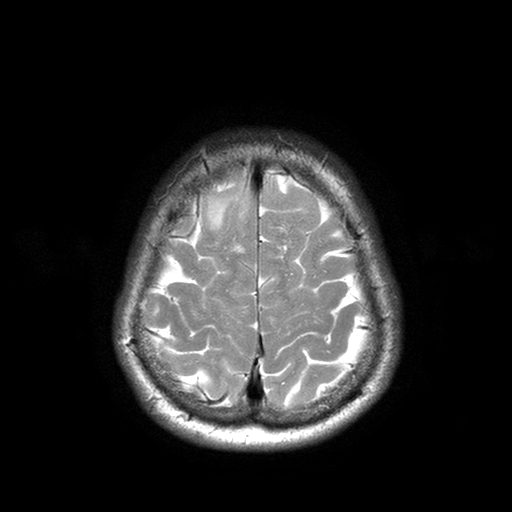
3 Tesla brain MRI.
Series: T2-weighted turbo spin echo with SENSE.
Study: ring-enhancing brain masses.